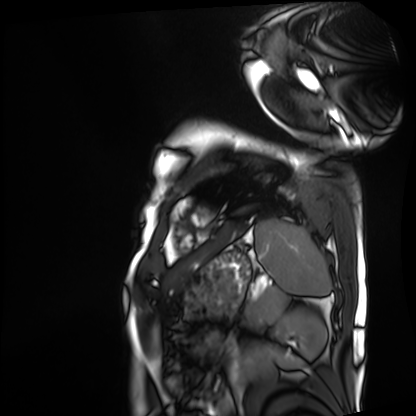
Cardiac MRI. Subject group: patient.